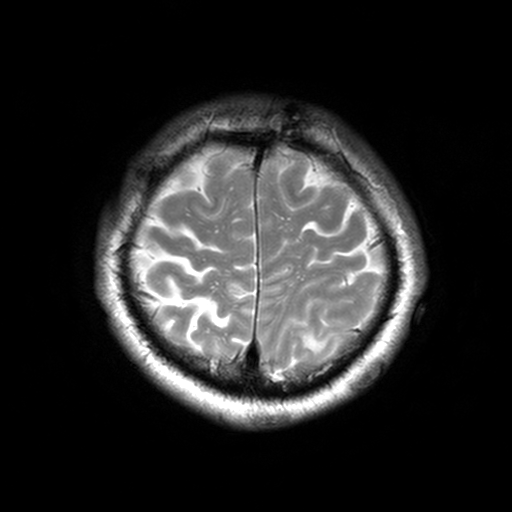
Summary:
3 Tesla brain MRI. Series: T2-weighted turbo spin echo, 3 mm. Study: ring-enhancing brain masses.